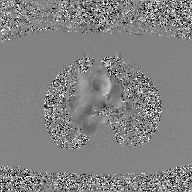
- modality — 2D phase-contrast cine MRI of the ascending aorta, GAN super-resolution reconstruction